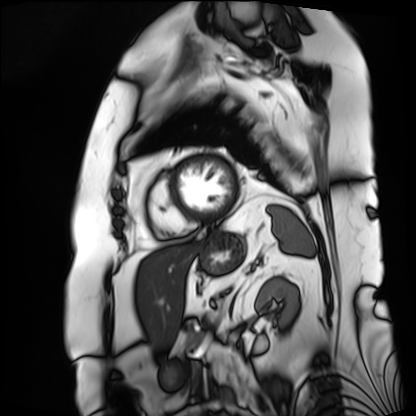
Case:
– modality: cardiac MRI
– subject group: patient